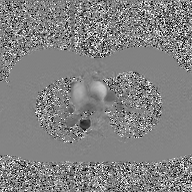
2D phase-contrast cine MRI of the ascending aorta, GAN super-resolution reconstruction.